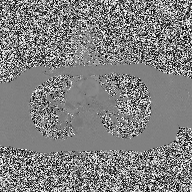
2D phase-contrast cine MRI of the ascending aorta, high-resolution GRAPPA acquisition.